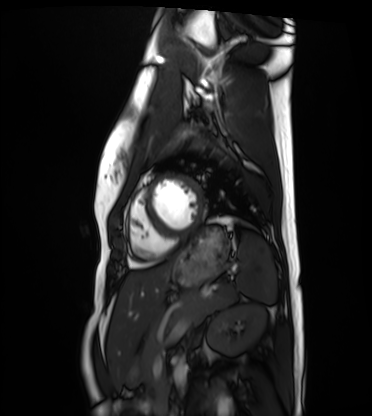
modality: cardiac MRI
subject group: healthy volunteer